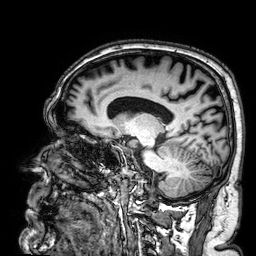
Q: What kind of scan is this?
A: 3 Tesla brain MRI.
Q: Series?
A: 3D T1-weighted.
Study: ring-enhancing brain masses.